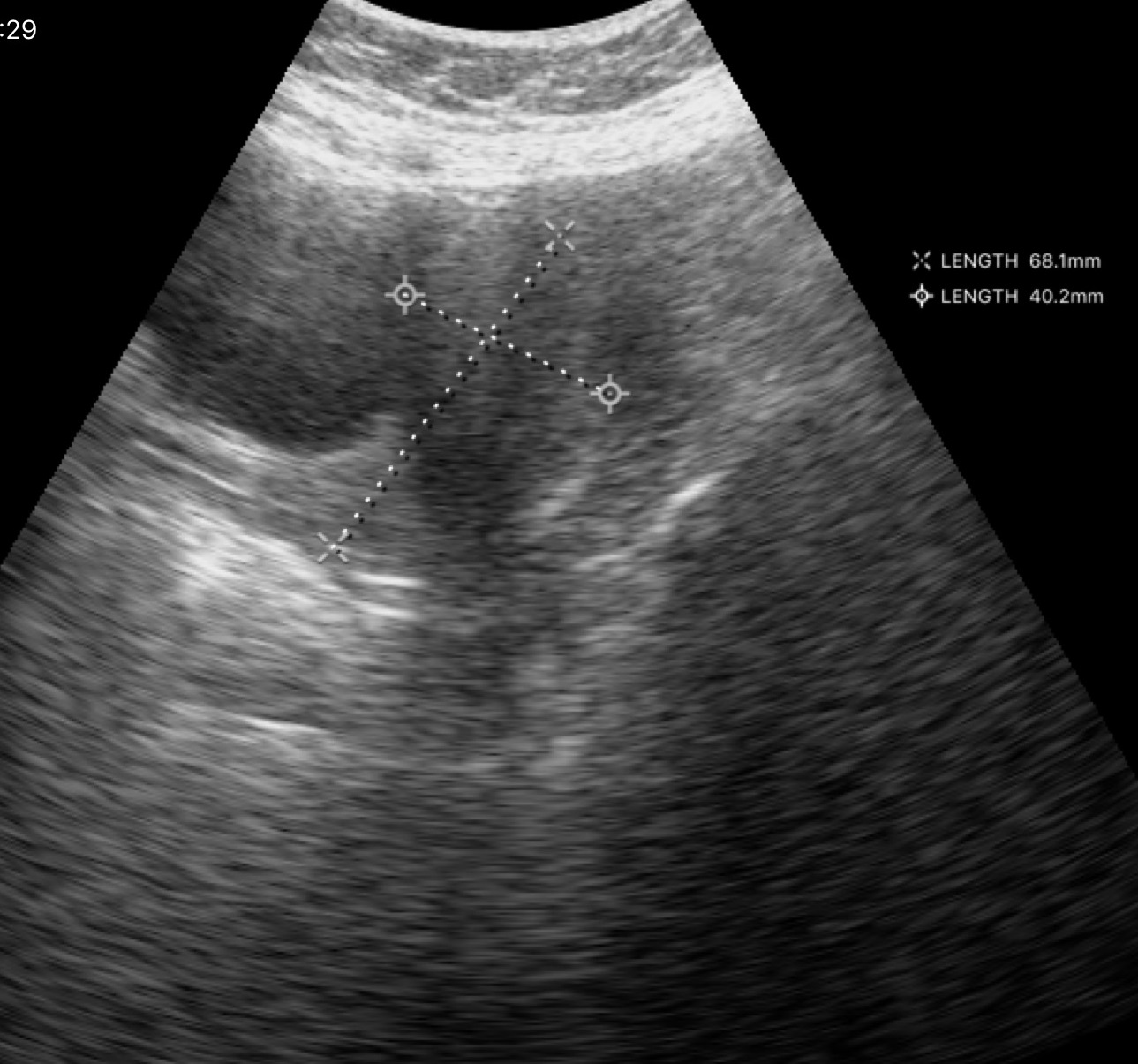
modality:
  type: genitourinary ultrasound